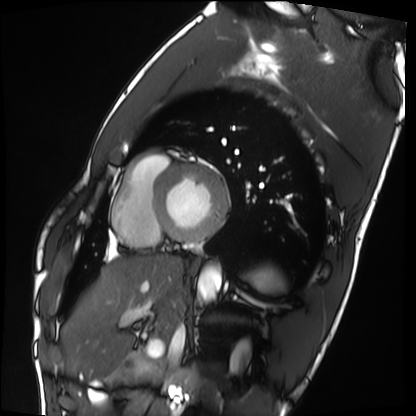
Q: What kind of scan is this?
A: Cardiac MRI.
Subject group: healthy volunteer.